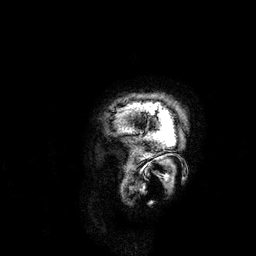
Q: What kind of scan is this?
A: 3 Tesla brain MRI.
Q: Series?
A: 3D T1-weighted.
Study: ring-enhancing brain masses.